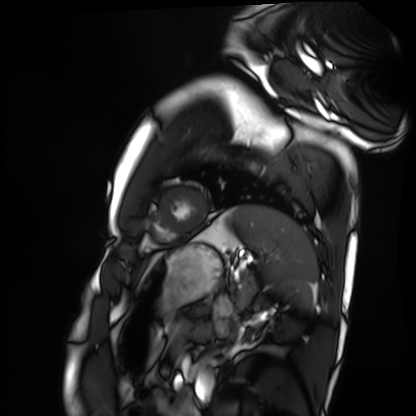
Cardiac MRI. Subject group: healthy volunteer.